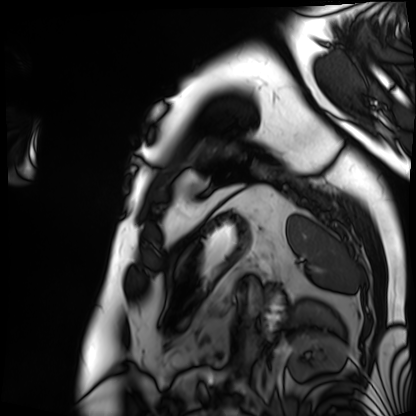
Clinical context:
Cardiac MRI. Subject group: patient.